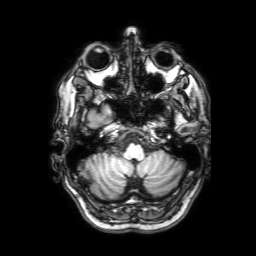
Clinical context: 3 Tesla brain MRI. Series: 3D T1-weighted with SENSE. Study: ring-enhancing brain masses.